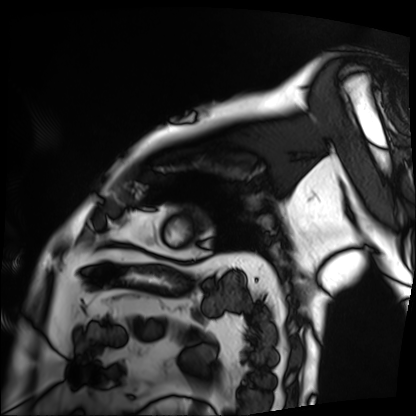
modality: cardiac MRI
subject group: patient